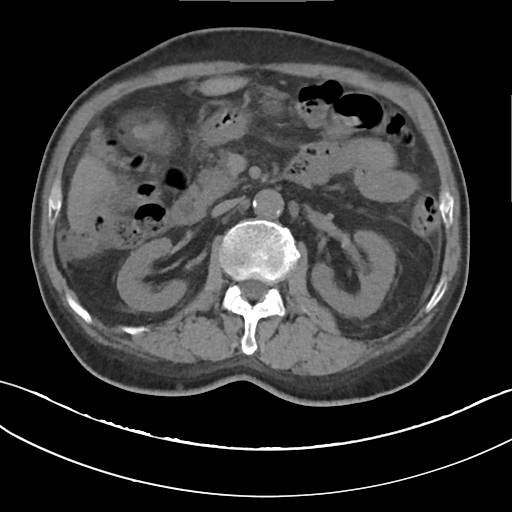
* modality: multiphase abdominal CT, liver, non-contrast phase
* patient: male, age 68